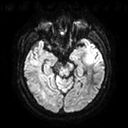
| field | value |
|---|---|
| modality | 3 Tesla brain MRI |
| series | diffusion tensor imaging (medium iso) |
| study | ring-enhancing brain masses |